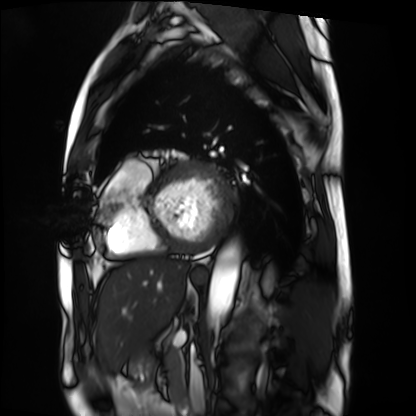
Summary:
Cardiac MRI. Subject group: patient.